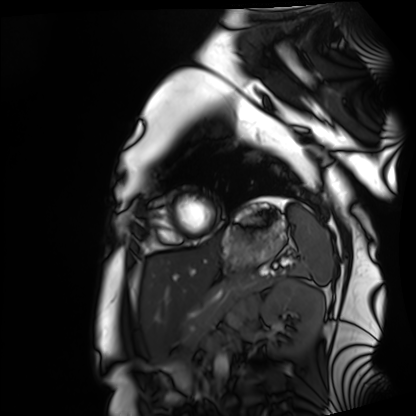
Cardiac MRI.
Subject group: healthy volunteer.